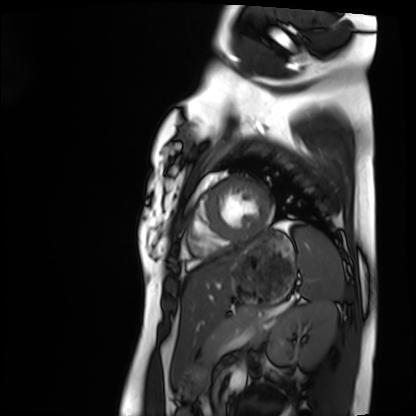
modality: cardiac MRI
cohort: healthy volunteer